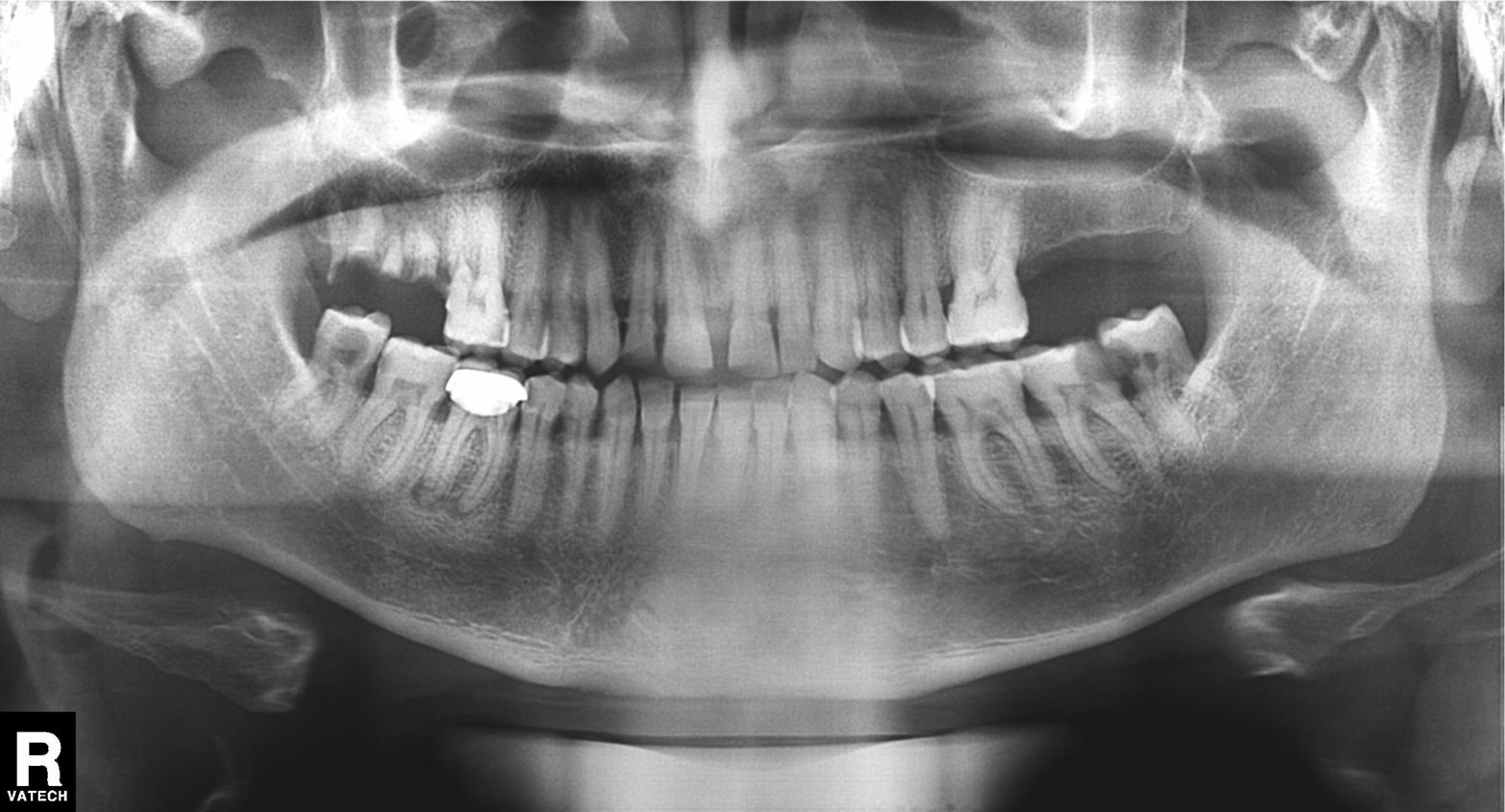
modality: panoramic dental radiograph (orthopantomogram) | finding: tooth impaction.